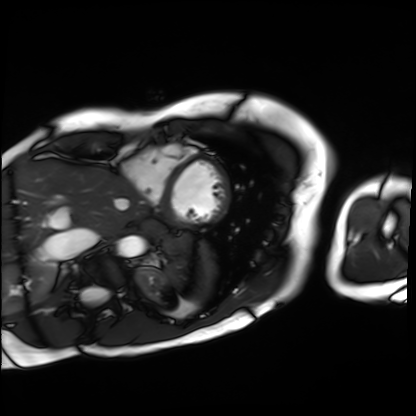
Cardiac MRI. Subject group: patient.